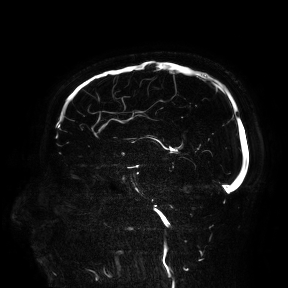
{"modality": {"type": "brain MRI", "field_strength": "3T"}, "study_topic": "ring-enhancing brain masses"}